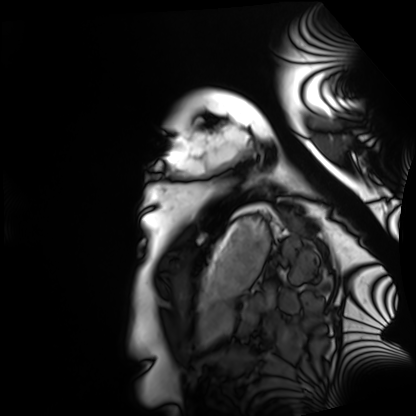
Summary:
Cardiac MRI. Subject group: healthy volunteer.